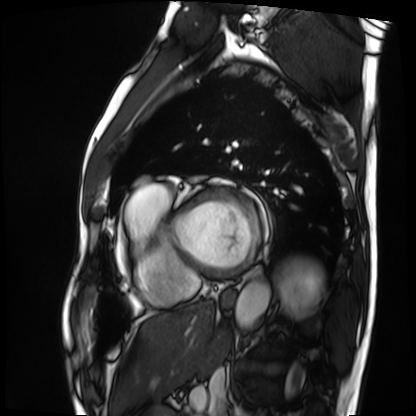
modality = cardiac MRI; subject group = patient.